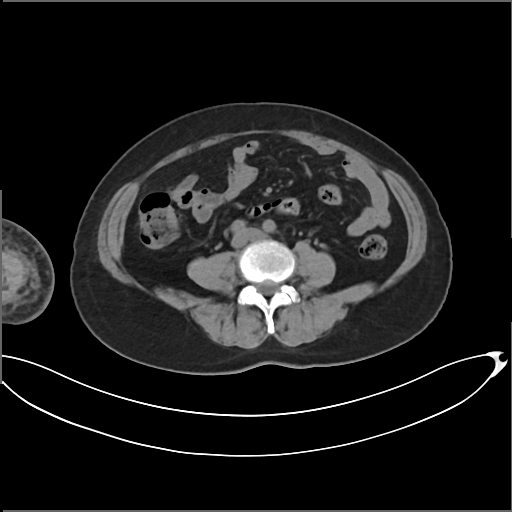
Case:
• modality — multiphase abdominal CT, liver, non-contrast phase
• patient — female, age 63
• history — prior chemotherapy